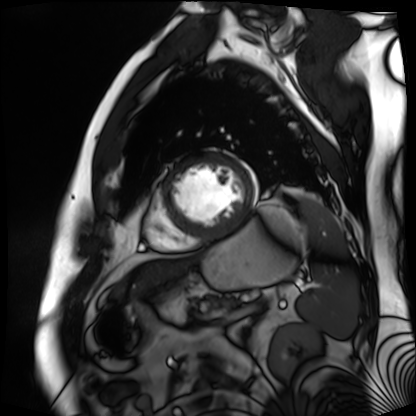
modality = cardiac MR image of the myocardium; subject cohort = cardiac patient.